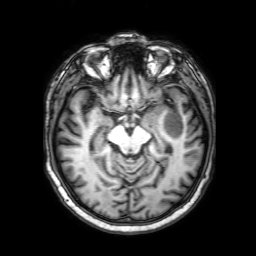
modality: 3 Tesla brain MRI
series: 3D T1-weighted with SENSE
study: ring-enhancing brain masses